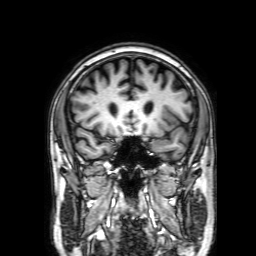
<case>
  <modality>
    <type>brain MRI</type>
    <field_strength>3T</field_strength>
  </modality>
  <series>3D T1-weighted with SENSE</series>
  <study_topic>ring-enhancing brain masses</study_topic>
</case>